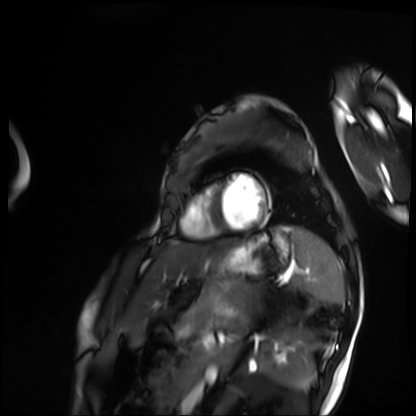
modality: cardiac MRI
subject group: patient